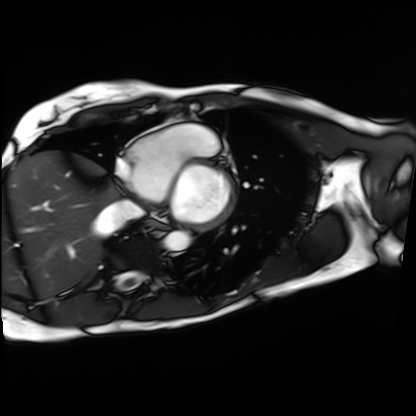
Cardiac MRI. Subject group: patient.